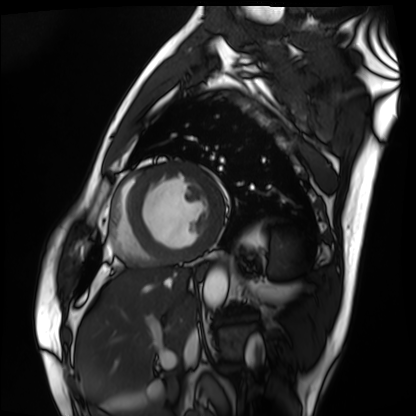
Q: What kind of scan is this?
A: Cardiac MRI.
Subject group: patient.